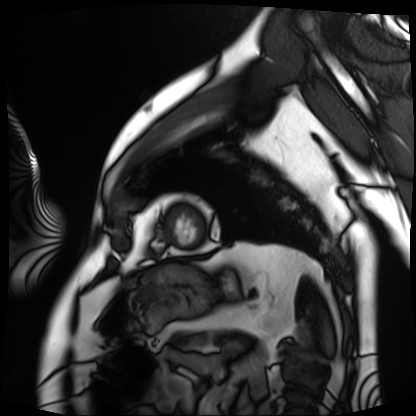
modality: cardiac MRI
subject group: patient